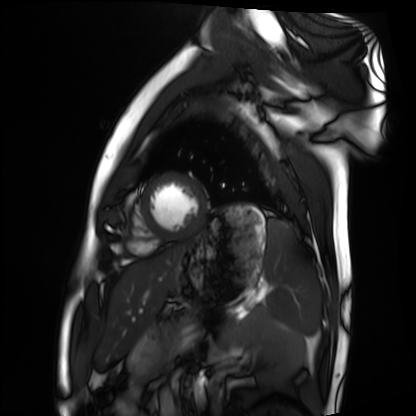
Cardiac MRI. Subject group: healthy volunteer.